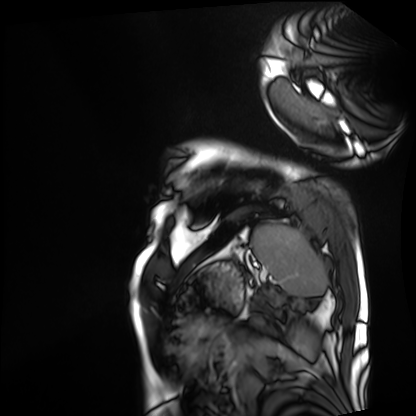
Cardiac MRI. Subject group: patient.